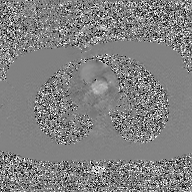
Summary:
2D phase-contrast cine MRI of the ascending aorta, GAN super-resolution reconstruction.